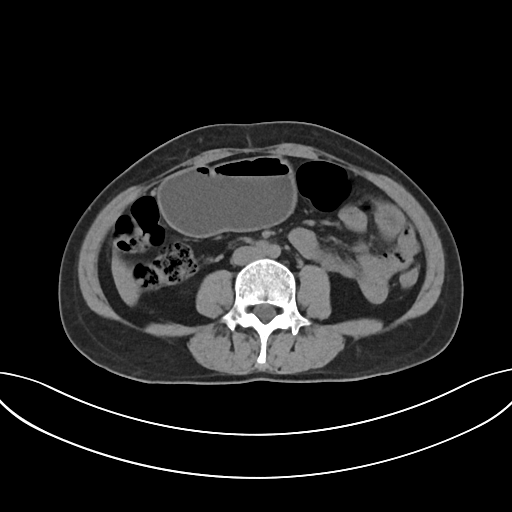
{"modality": {"type": "multiphase abdominal CT", "region": "liver", "phase": "non-contrast"}}